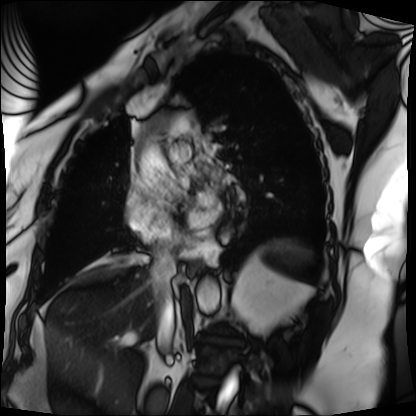
Cardiac MRI.
Subject group: patient.